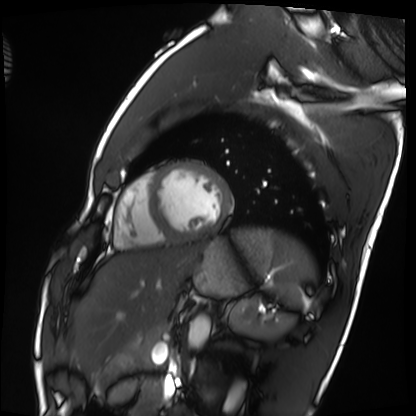
Cardiac MRI. Subject group: healthy volunteer.